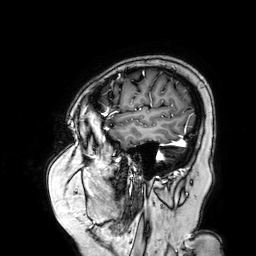
  modality:
    type: brain MRI
    field_strength: 3T
  series: 3D T1-weighted turbo field echo with SENSE
  study_topic: ring-enhancing brain masses